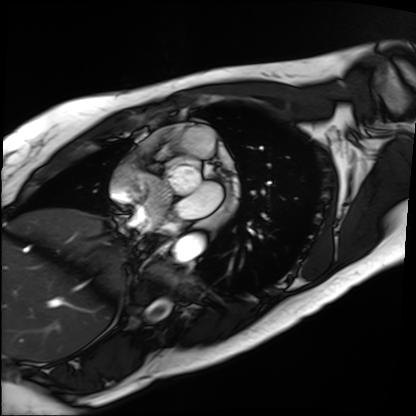
| field | value |
|---|---|
| modality | cardiac MRI |
| subject group | patient |